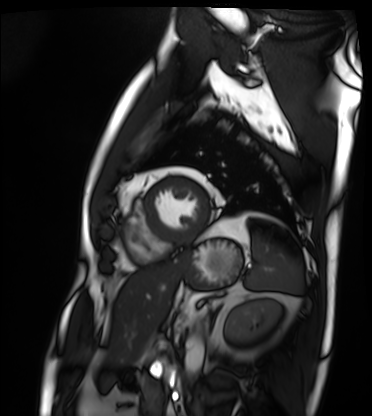
modality: cardiac MRI | subject group: patient.